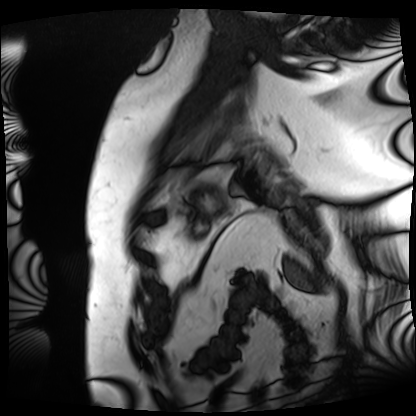
– modality: cardiac MRI
– subject group: patient